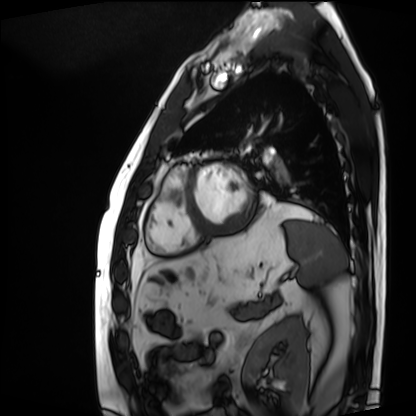
Cardiac MRI.
Subject group: patient.